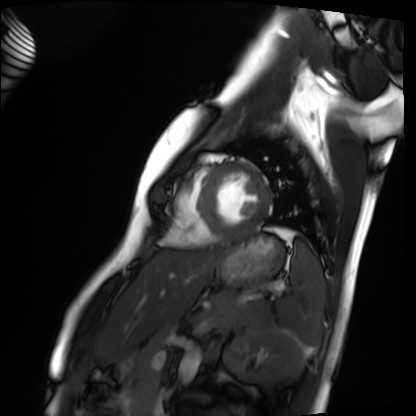
* modality: cardiac MRI
* subject group: healthy volunteer